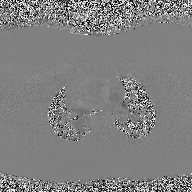
2D phase-contrast cine MRI of the ascending aorta, high-resolution GRAPPA acquisition.